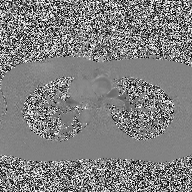
2D phase-contrast cine MRI of the ascending aorta, high-resolution GRAPPA acquisition.